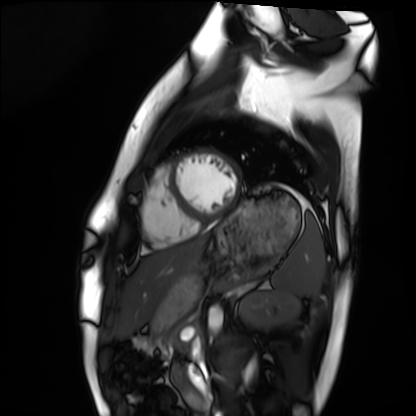
modality = cardiac MRI | subject group = healthy volunteer.